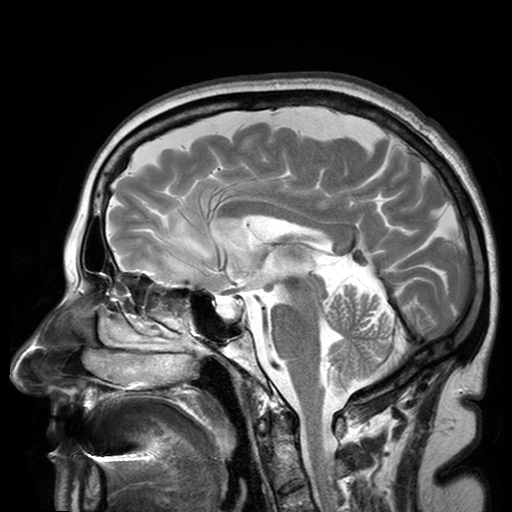
3 Tesla brain MRI.
Series: T2-weighted turbo spin echo with SENSE.
Study: ring-enhancing brain masses.